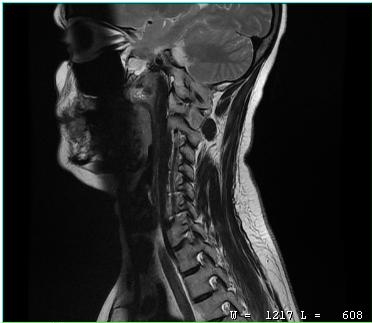
MRI of the cervical spine. Study: cervical spondylosis.